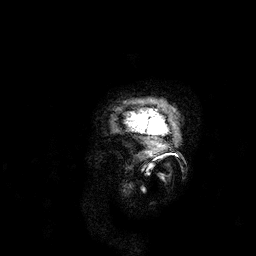
{
  "modality": {
    "type": "brain MRI",
    "field_strength": "3T"
  },
  "series": "3D T1-weighted",
  "study_topic": "ring-enhancing brain masses"
}